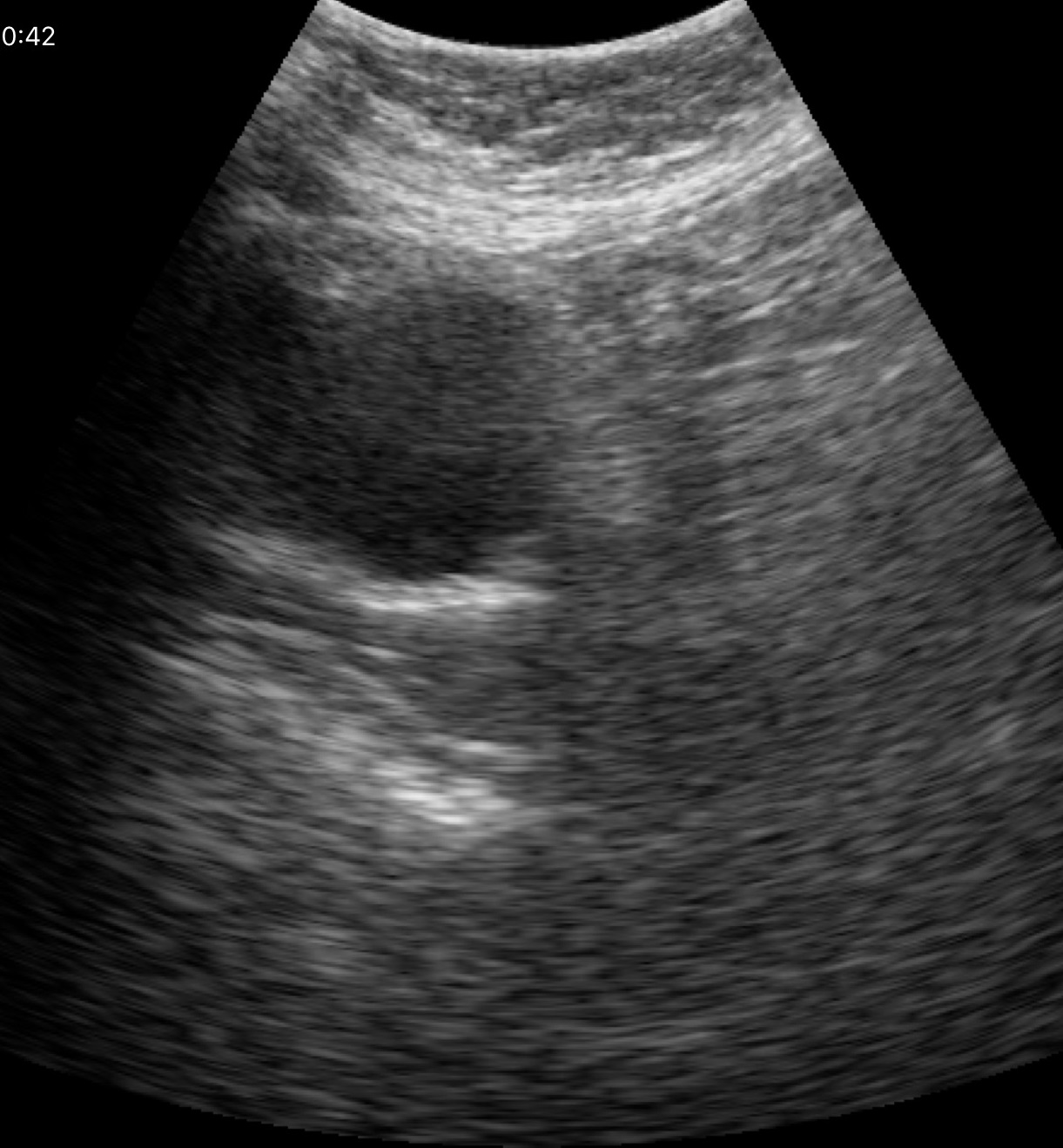
Clinical context:
Genitourinary ultrasound.